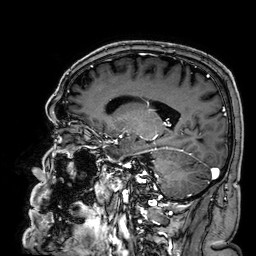
3 Tesla brain MRI. Series: 3D T1-weighted. Study: ring-enhancing brain masses.